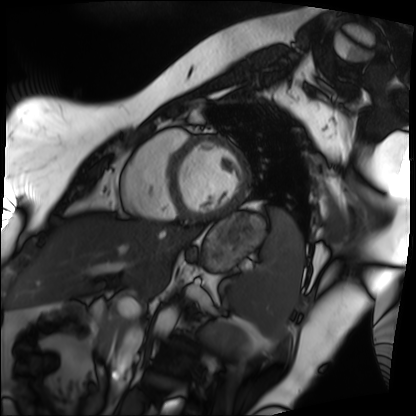
Q: What kind of scan is this?
A: Cardiac MRI.
Subject group: patient.